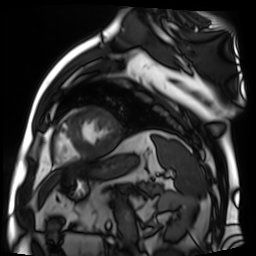
<scan>
  <modality>cardiac MR image of the myocardium</modality>
  <cohort>cardiac patient</cohort>
</scan>